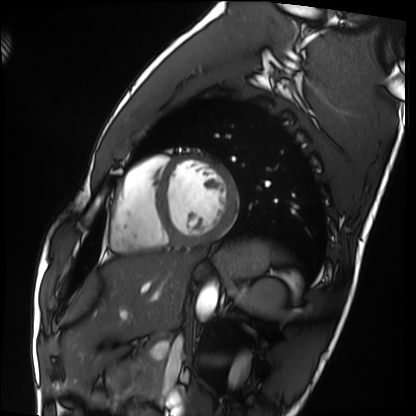
Cardiac MRI.
Subject group: healthy volunteer.